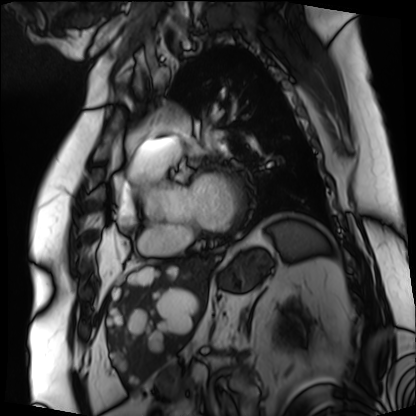
modality: cardiac MRI | subject group: patient.